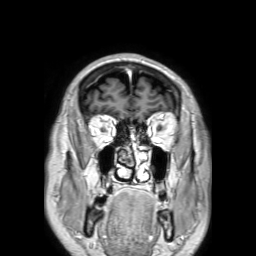
3 Tesla brain MRI. Series: 3D T1-weighted TFE with SENSE. Study: ring-enhancing brain masses.